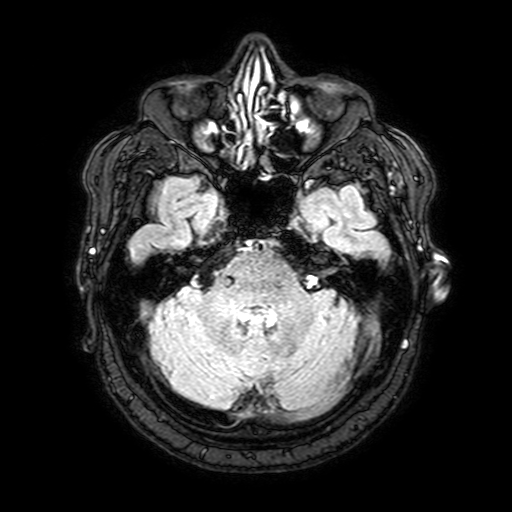
Case:
* modality · 3 Tesla brain MRI
* series · FLAIR with SPAIR, 3 mm
* study · ring-enhancing brain masses